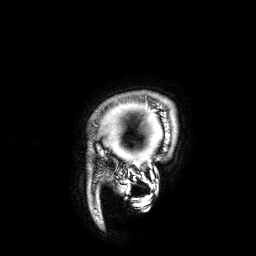
<case>
<modality>
  <type>brain MRI</type>
  <field_strength>3T</field_strength>
</modality>
<series>3D T1-weighted</series>
<study_topic>ring-enhancing brain masses</study_topic>
</case>